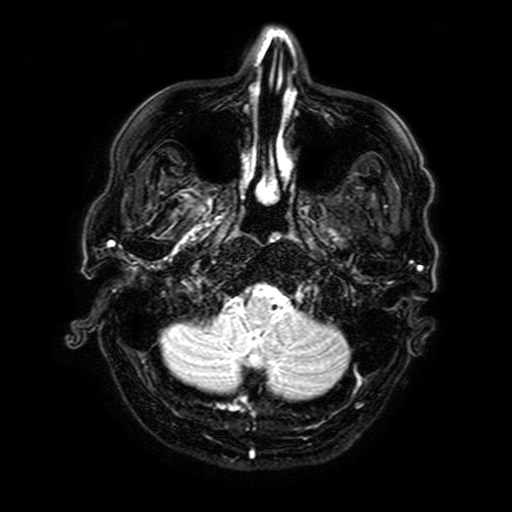
3 Tesla brain MRI. Series: FLAIR with SPAIR, 3 mm. Study: ring-enhancing brain masses.